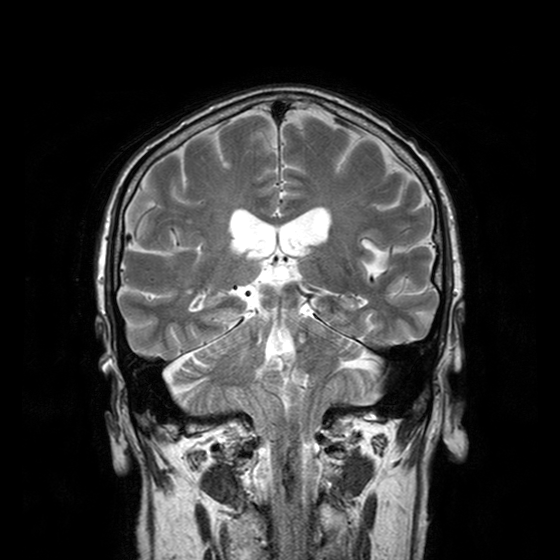
Summary: 3 Tesla brain MRI. Series: T2-weighted turbo spin echo with CLEAR. Study: ring-enhancing brain masses.